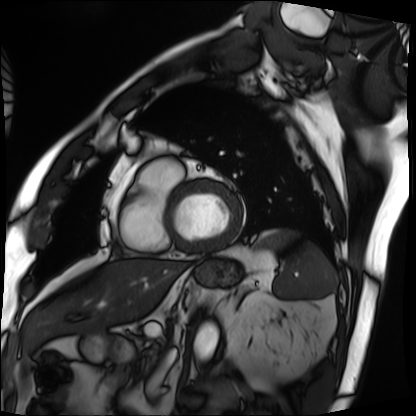
modality = cardiac MRI, subject group = patient.